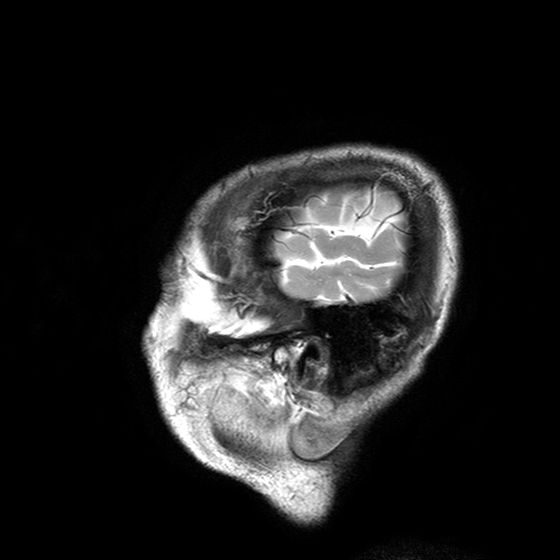
- modality — 3 Tesla brain MRI
- series — T2-weighted turbo spin echo with SENSE
- study — ring-enhancing brain masses